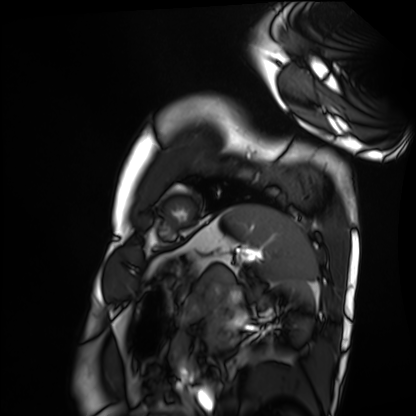
modality = cardiac MRI
subject group = healthy volunteer